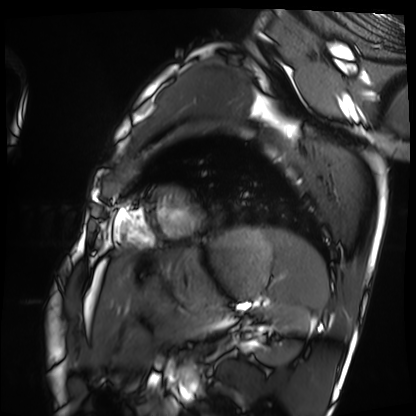
Q: What kind of scan is this?
A: Cardiac MRI.
Subject group: healthy volunteer.